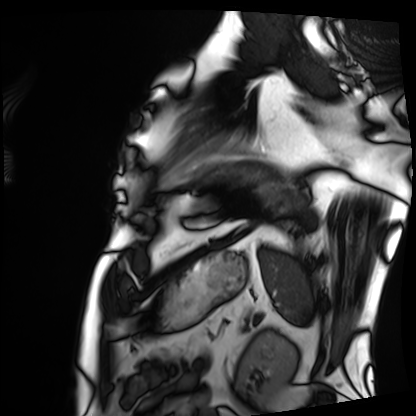
• modality — cardiac MRI
• subject group — patient